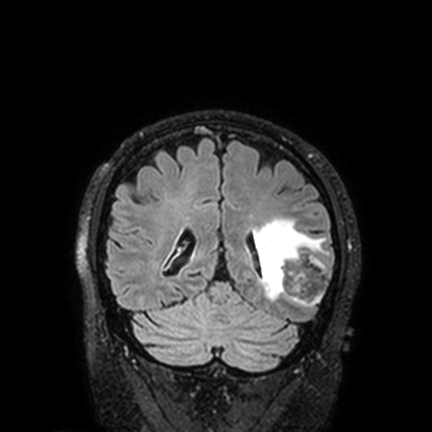
3 Tesla brain MRI. Series: FLAIR VISTA with SENSE. Study: ring-enhancing brain masses.